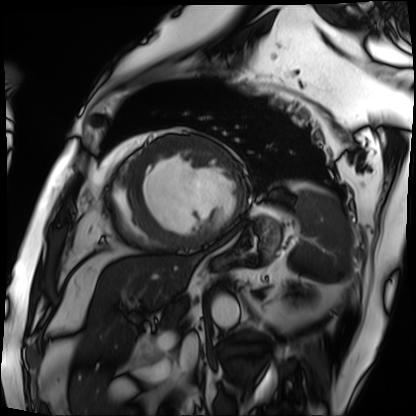
Cardiac MRI. Subject group: patient.